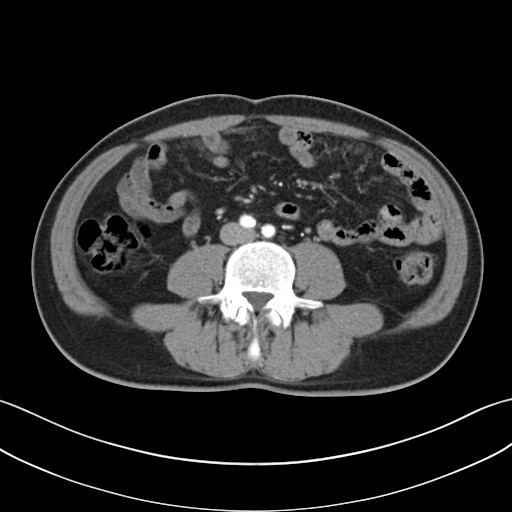
Multiphase abdominal CT, liver, arterial phase. Patient: male, age 48.